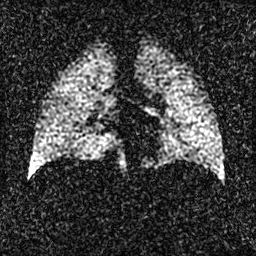
Case:
* modality — hyperpolarized 129Xe ventilation MRI of the lungs
* SNR level — 2 of 8 (the deposit holds this scan as its native image and as seven SNR-degraded versions)